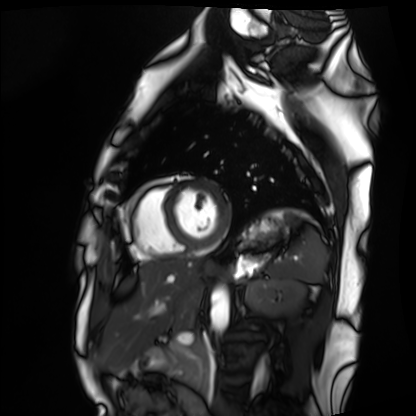
modality: cardiac MRI; subject group: healthy volunteer.